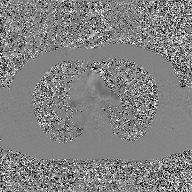
Summary:
2D phase-contrast cine MRI of the ascending aorta, GAN super-resolution reconstruction.